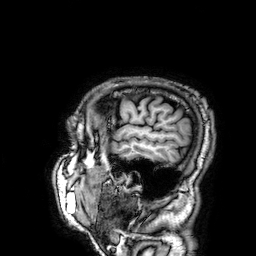
Case:
* modality: 3 Tesla brain MRI
* series: 3D T1-weighted
* study: ring-enhancing brain masses